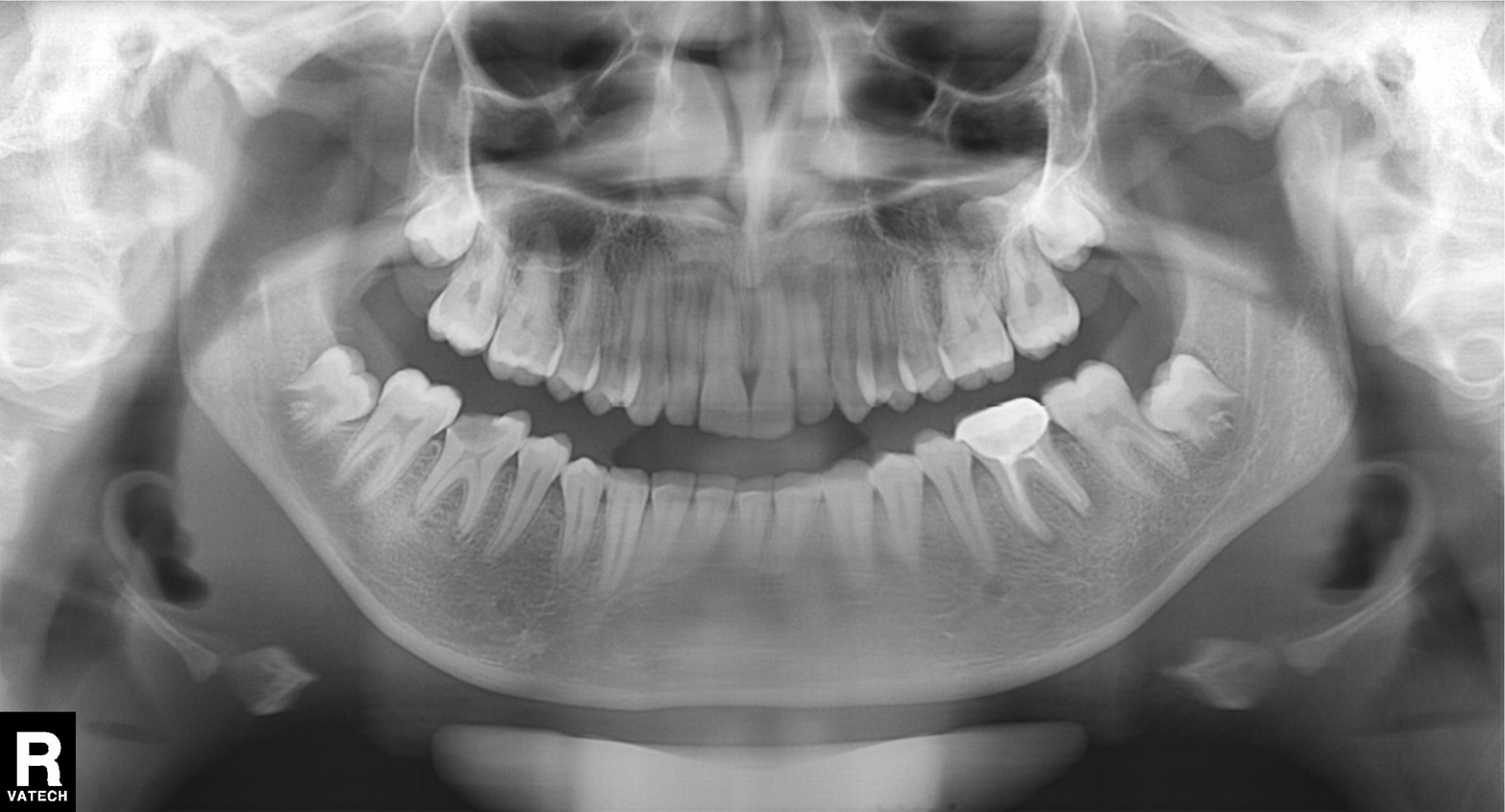
modality: panoramic dental radiograph (orthopantomogram), finding: dental caries (cavities).